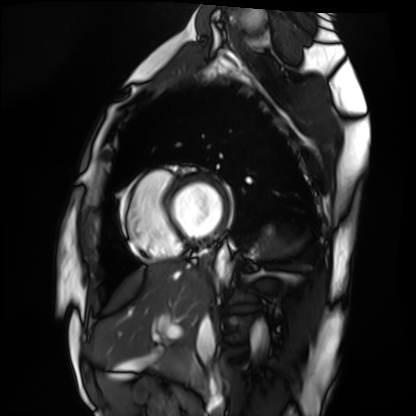
Cardiac MRI.
Subject group: healthy volunteer.